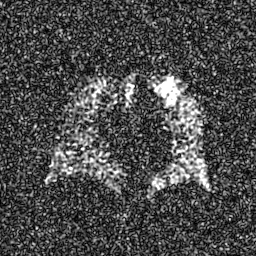
modality = hyperpolarized 129Xe ventilation MRI of the lungs, SNR level = 8 of 8 (the deposit holds this scan as its native image and as seven SNR-degraded versions).